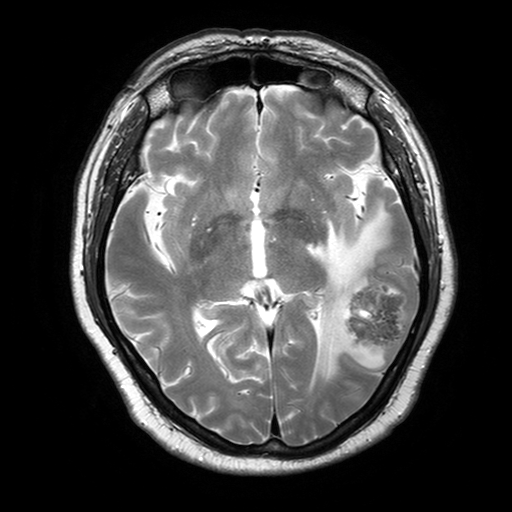
3 Tesla brain MRI. Series: T2-weighted turbo spin echo with SENSE. Study: ring-enhancing brain masses.